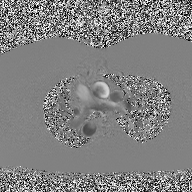
Case summary:
2D phase-contrast cine MRI of the ascending aorta, high-resolution GRAPPA acquisition.